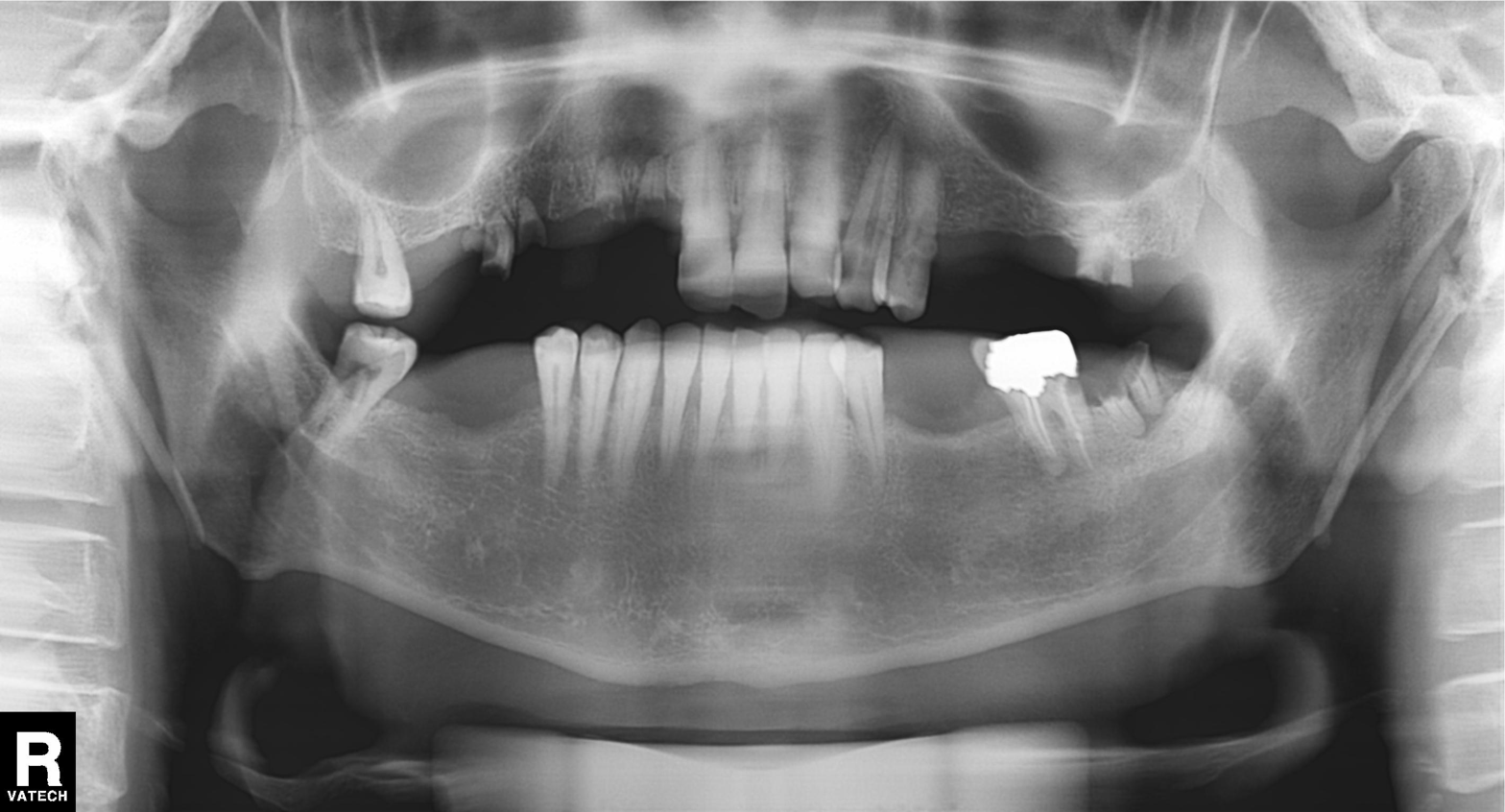
Case summary: Panoramic dental radiograph (orthopantomogram).
Impression: Dental caries (cavities).